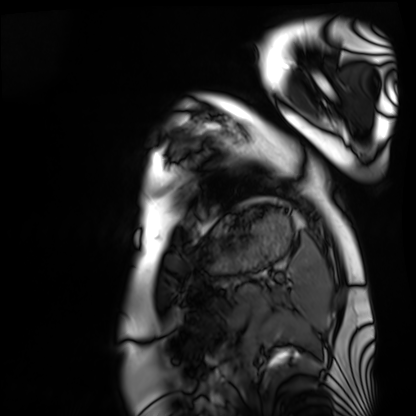
Cardiac MRI.
Subject group: healthy volunteer.